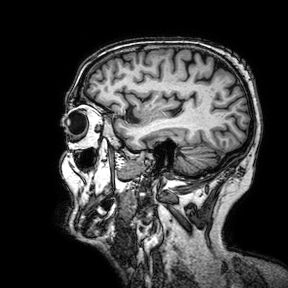
  modality:
    type: brain MRI
    field_strength: 3T
  series: 3D T1-weighted turbo field echo with SENSE
  study_topic: ring-enhancing brain masses